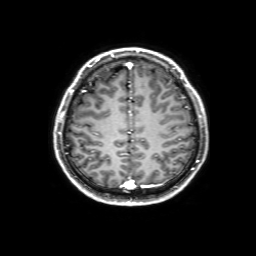
3 Tesla brain MRI. Series: 3D T1-weighted with SENSE. Study: ring-enhancing brain masses.